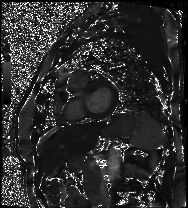
{"modality": "cardiac MRI", "cohort": "patient"}